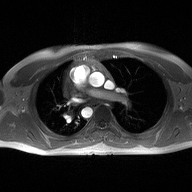
{"modality": {"type": "2D phase-contrast cine MRI", "region": "ascending aorta", "reconstruction": "high-resolution GRAPPA acquisition"}}